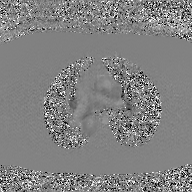
Q: What kind of scan is this?
A: 2D phase-contrast cine MRI of the ascending aorta, GAN super-resolution reconstruction.